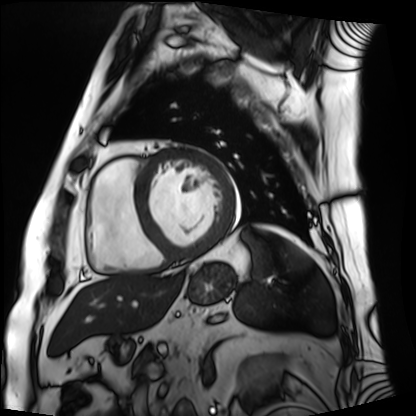
Summary:
Cardiac MRI. Subject group: patient.